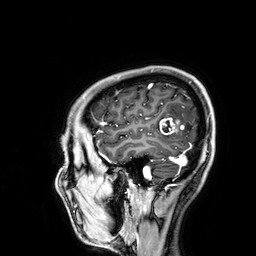
modality:
  type: brain MRI
  field_strength: 3T
series: 3D T1-weighted
study_topic: ring-enhancing brain masses